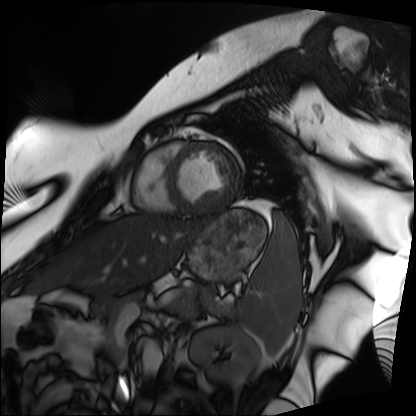
<study>
<modality>cardiac MRI</modality>
<cohort>patient</cohort>
</study>